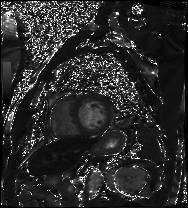
Cardiac MRI.
Subject group: patient.